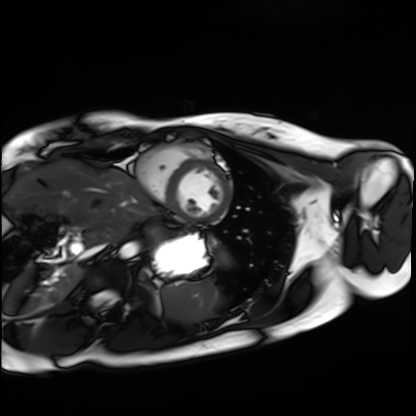
Cardiac MRI. Subject group: healthy volunteer.